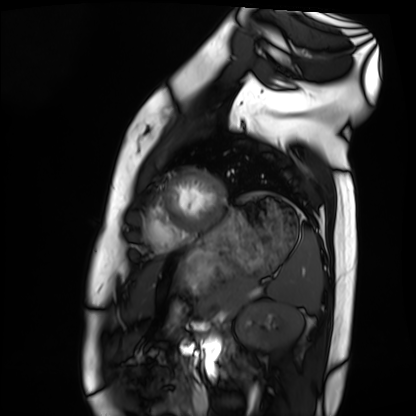
Q: What kind of scan is this?
A: Cardiac MRI.
Subject group: healthy volunteer.